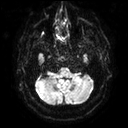
- modality — 3 Tesla brain MRI
- series — diffusion tensor imaging (medium iso)
- study — ring-enhancing brain masses